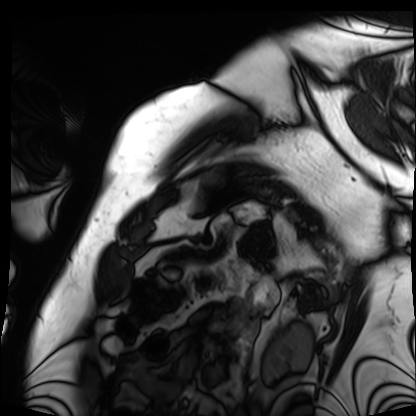
Cardiac MRI. Subject group: patient.